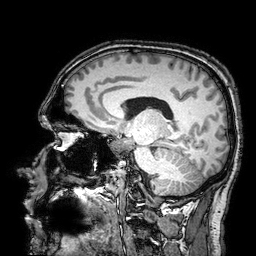
modality: 3 Tesla brain MRI; series: 3D T1-weighted turbo field echo with SENSE; study: ring-enhancing brain masses.